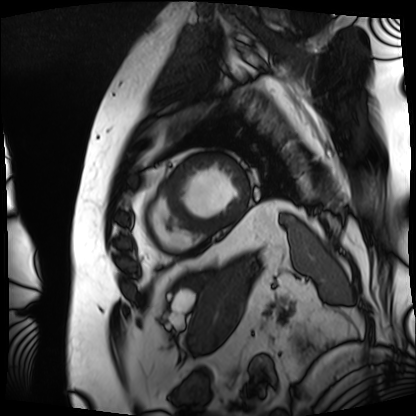
Q: What kind of scan is this?
A: Cardiac MRI.
Subject group: patient.